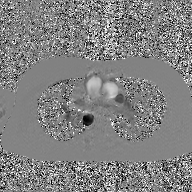
2D phase-contrast cine MRI of the ascending aorta, GAN super-resolution reconstruction.